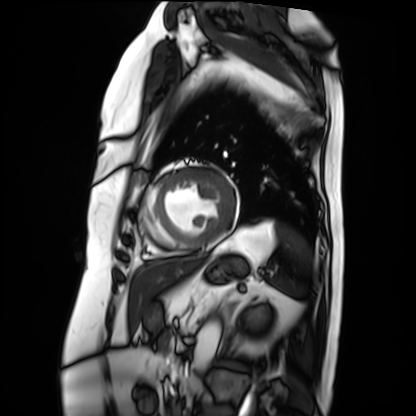
Summary: Cardiac MRI. Subject group: patient.